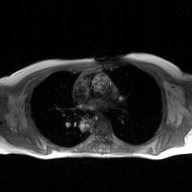
2D phase-contrast cine MRI of the ascending aorta, GAN super-resolution reconstruction.